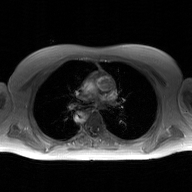
<record>
<modality>
  <type>2D phase-contrast cine MRI</type>
  <region>ascending aorta</region>
  <reconstruction>GAN super-resolution reconstruction</reconstruction>
</modality>
</record>